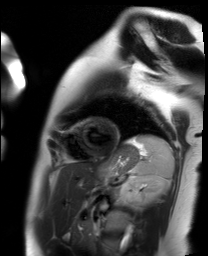
Q: What kind of scan is this?
A: Cardiac MR image of the myocardium.
Subject cohort: healthy volunteer.